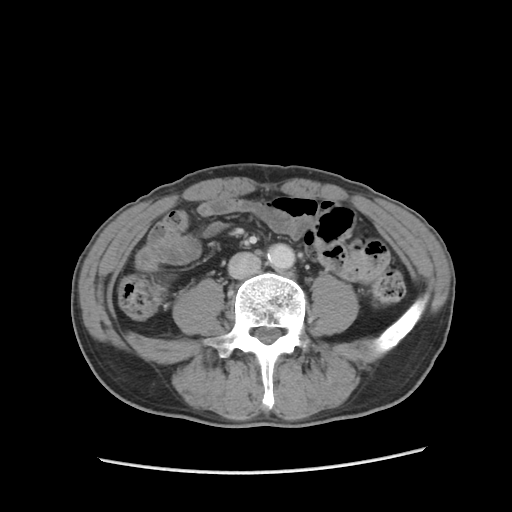
Multiphase abdominal CT, liver, portal venous phase. Patient: male, age 57.